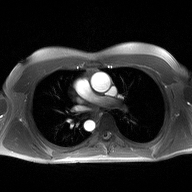
| field | value |
|---|---|
| modality | 2D phase-contrast cine MRI of the ascending aorta |